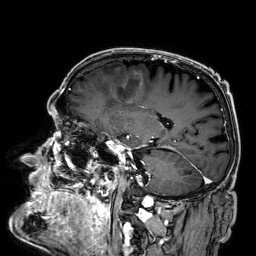
Clinical context:
3 Tesla brain MRI. Series: 3D T1-weighted. Study: ring-enhancing brain masses.